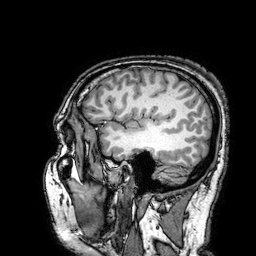
3 Tesla brain MRI. Series: 3D T1-weighted turbo field echo with SENSE. Study: ring-enhancing brain masses.